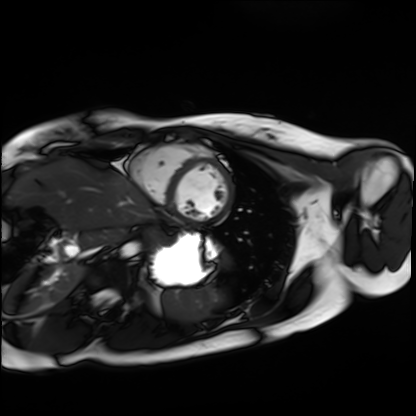
– modality — cardiac MRI
– subject group — healthy volunteer